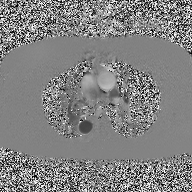
| field | value |
|---|---|
| modality | 2D phase-contrast cine MRI of the ascending aorta |